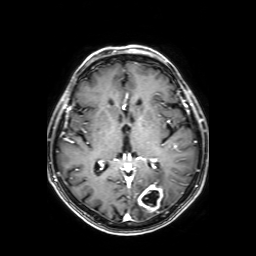
3 Tesla brain MRI. Series: axial T1-weighted fusion image. Study: ring-enhancing brain masses.